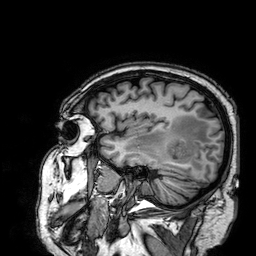
3 Tesla brain MRI.
Series: 3D T1-weighted.
Study: ring-enhancing brain masses.